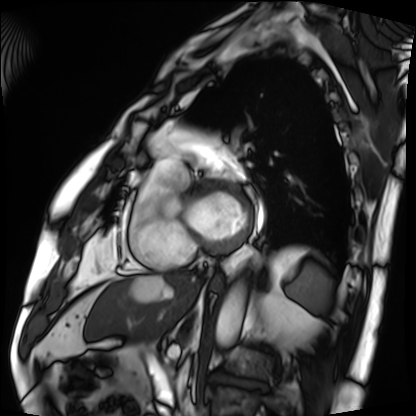
{"modality": "cardiac MRI", "cohort": "patient"}